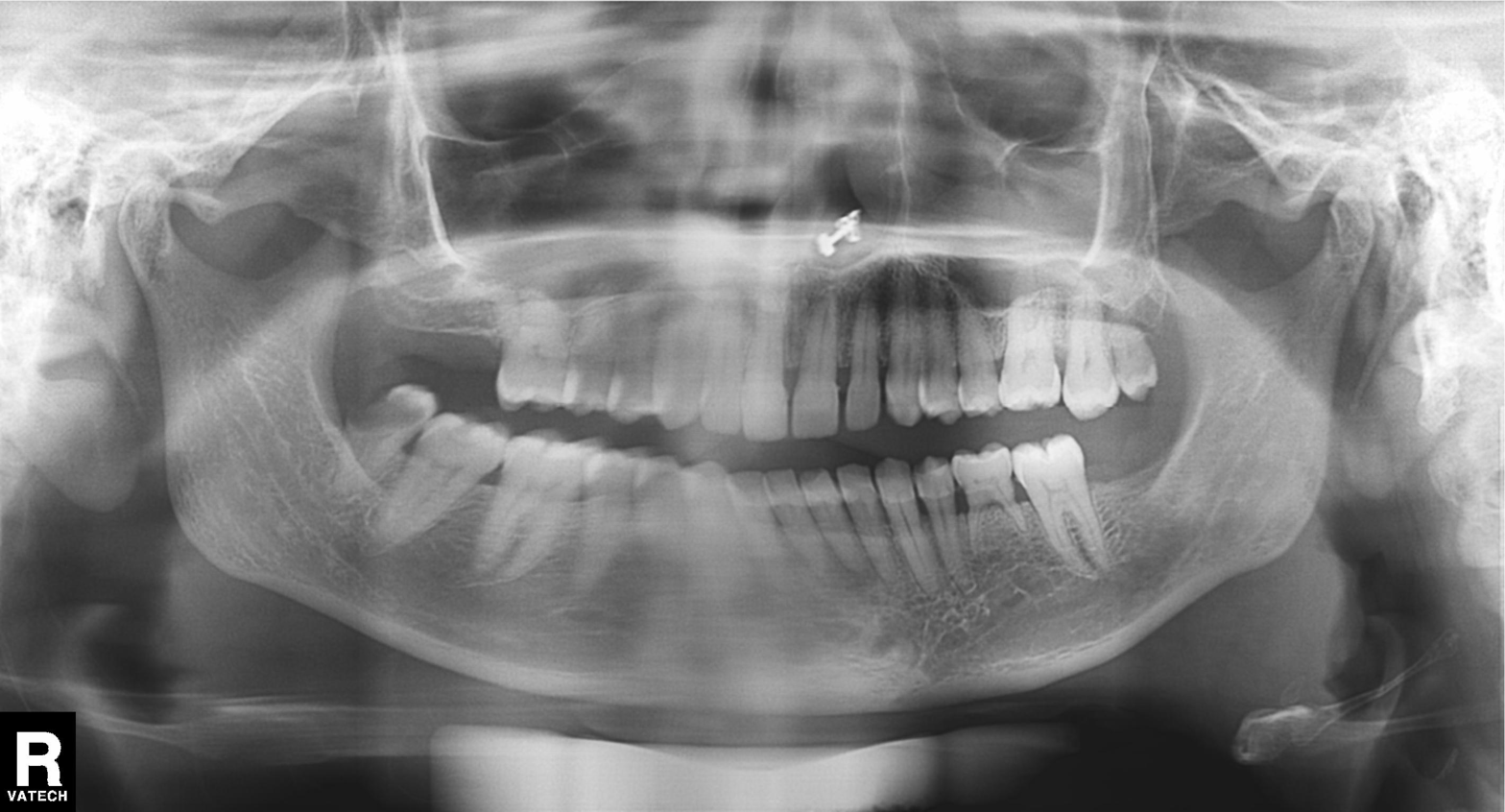
modality: panoramic dental radiograph (orthopantomogram)
finding: tooth impaction